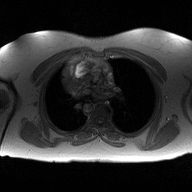
2D phase-contrast cine MRI of the ascending aorta, high-resolution GRAPPA acquisition.